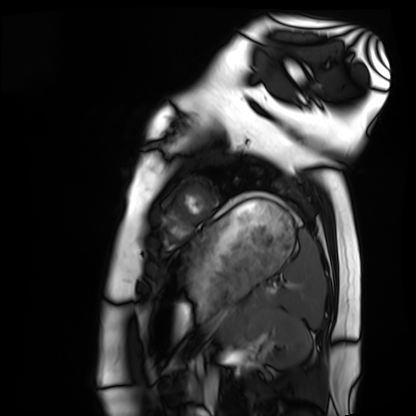
Cardiac MRI. Subject group: healthy volunteer.